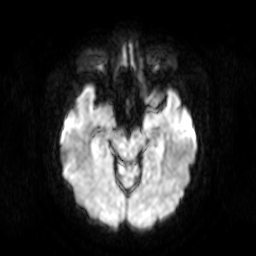
| field | value |
|---|---|
| modality | 3 Tesla brain MRI |
| series | diffusion-weighted imaging |
| study | ring-enhancing brain masses |